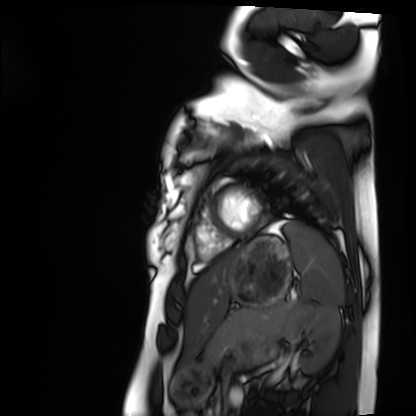
{"modality": "cardiac MRI", "cohort": "healthy volunteer"}